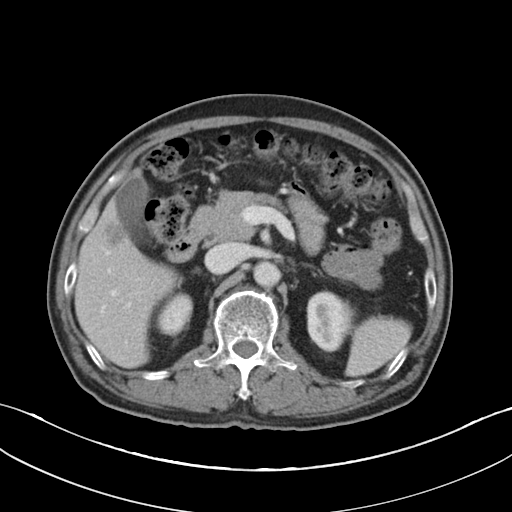
modality — multiphase abdominal CT, liver, portal venous phase